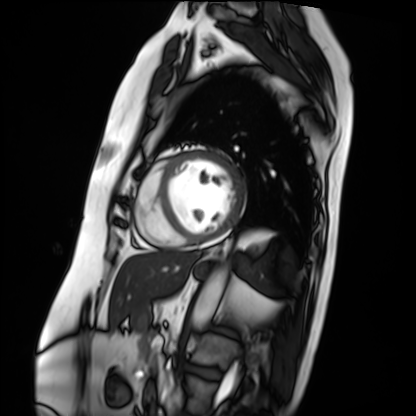
Cardiac MRI.
Subject group: patient.